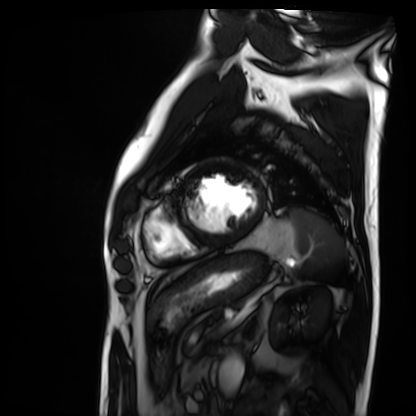
Cardiac MRI.
Subject group: patient.